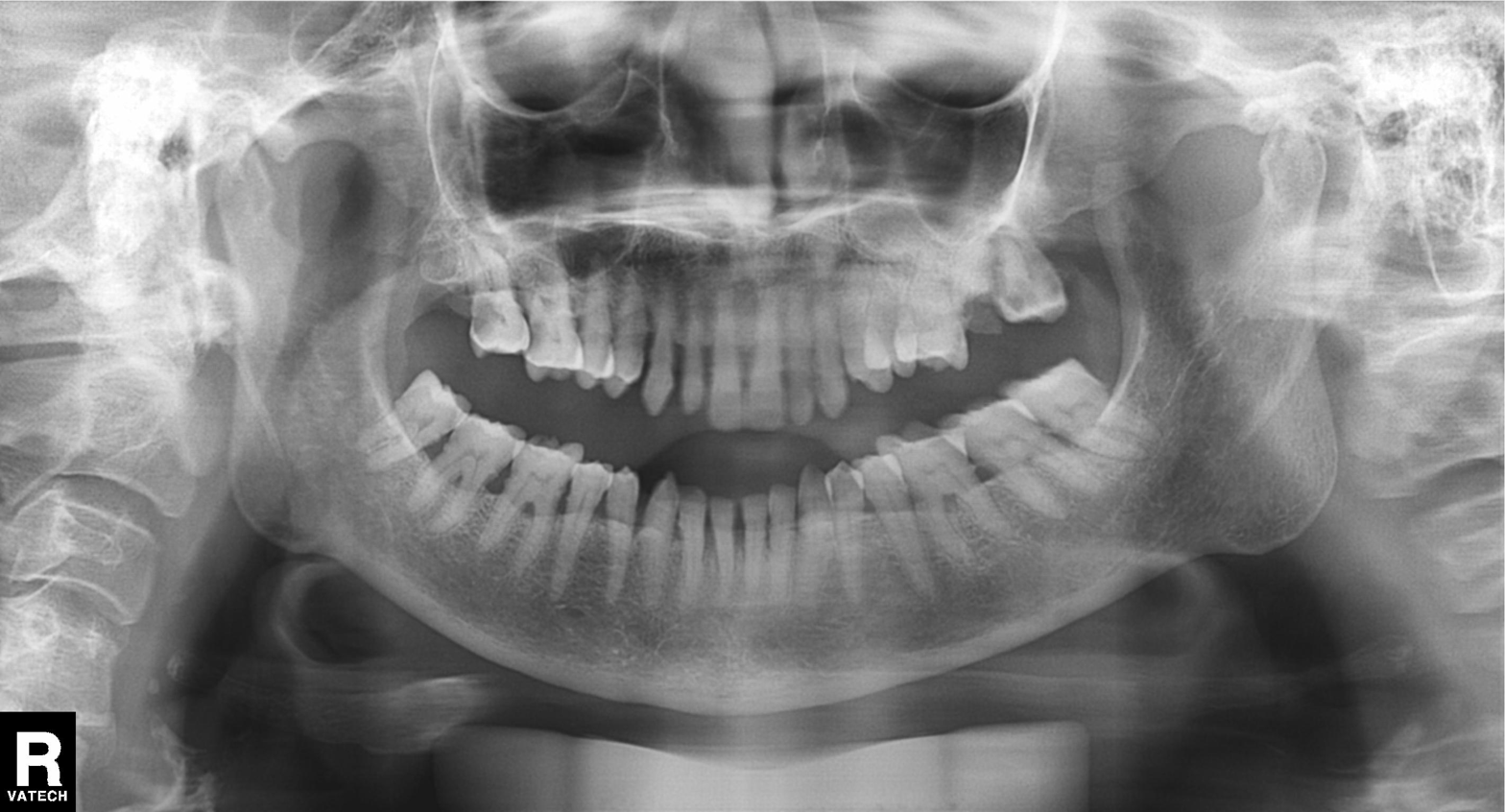
Case:
• modality — panoramic dental radiograph (orthopantomogram)
• finding — alveolar bone loss